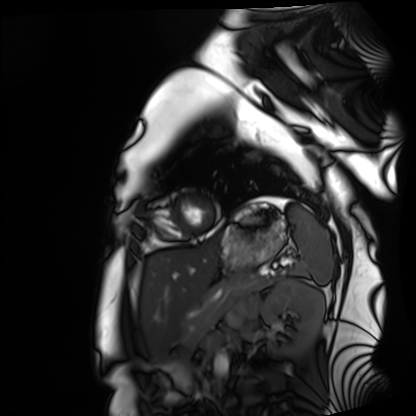
Cardiac MRI. Subject group: healthy volunteer.